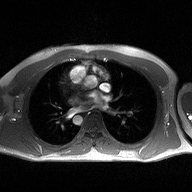
– modality · 2D phase-contrast cine MRI of the ascending aorta